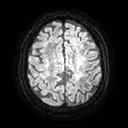
3 Tesla brain MRI. Series: diffusion tensor imaging (medium iso). Study: ring-enhancing brain masses.